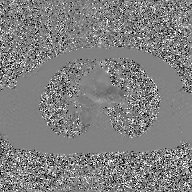
2D phase-contrast cine MRI of the ascending aorta, GAN super-resolution reconstruction.